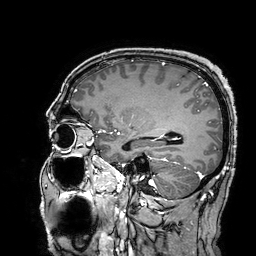
| field | value |
|---|---|
| modality | 3 Tesla brain MRI |
| series | 3D T1-weighted turbo field echo with SENSE |
| study | ring-enhancing brain masses |